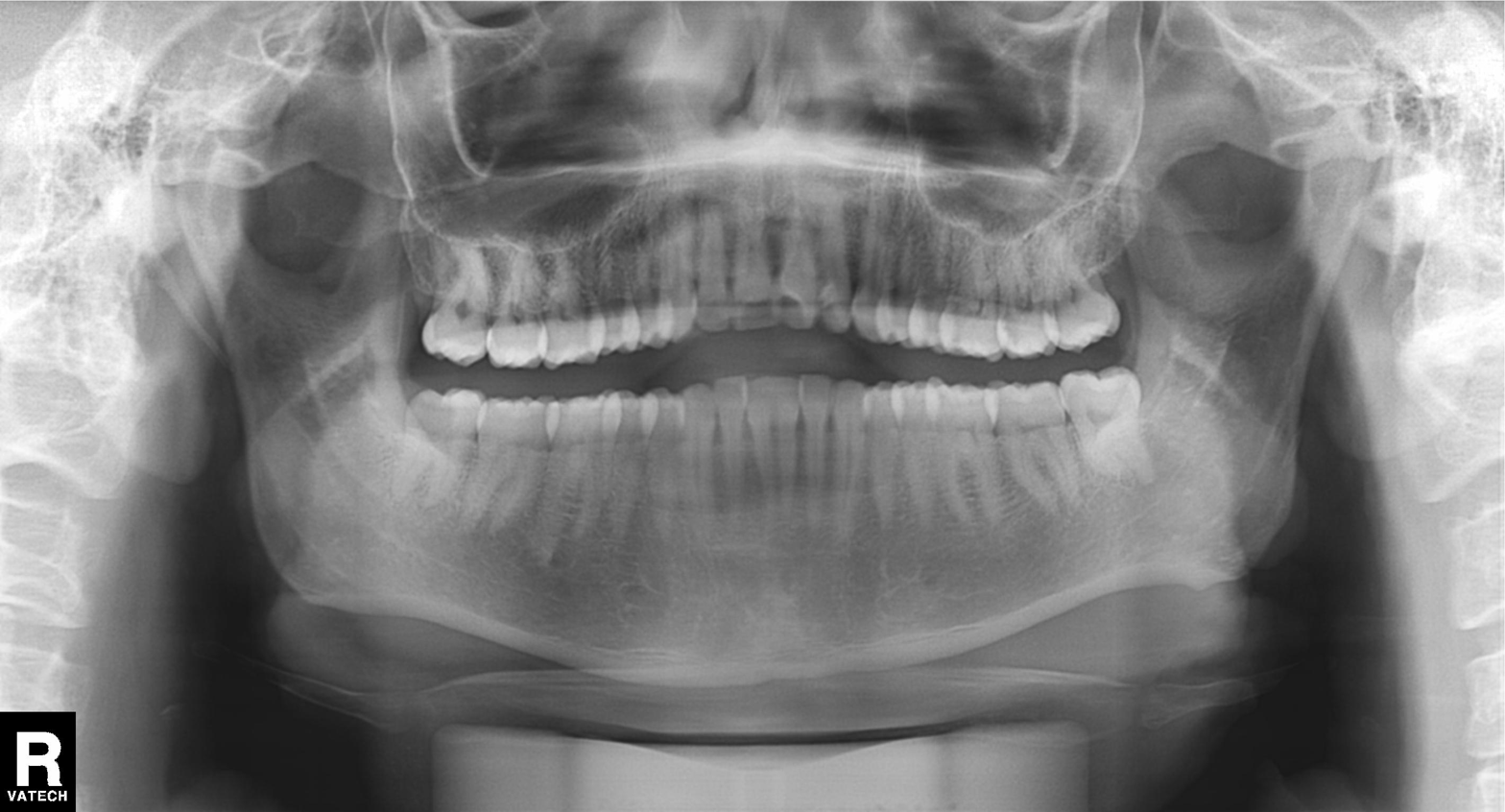
Panoramic dental radiograph (orthopantomogram).
Finding: dental caries (cavities).